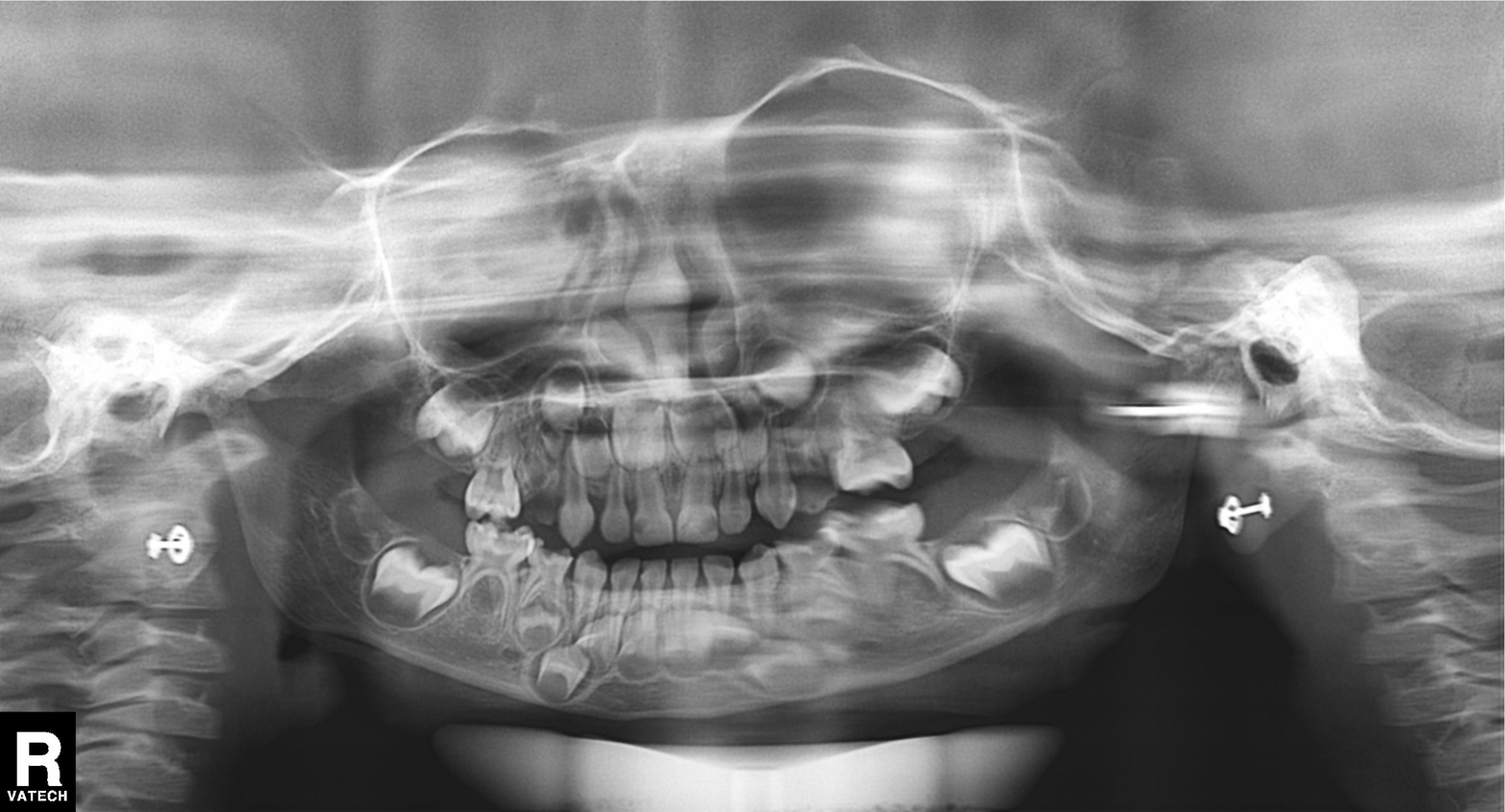
modality=panoramic dental radiograph (orthopantomogram)
finding=alveolar bone loss